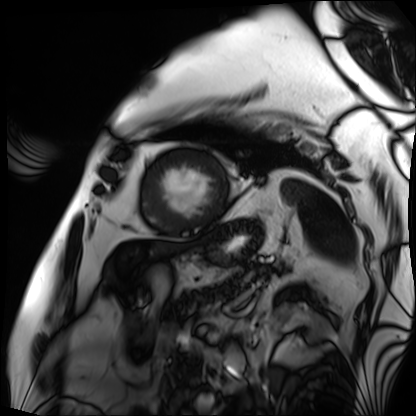
* modality: cardiac MRI
* subject group: patient